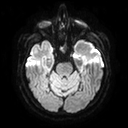
3 Tesla brain MRI. Series: diffusion tensor imaging (medium iso). Study: ring-enhancing brain masses.